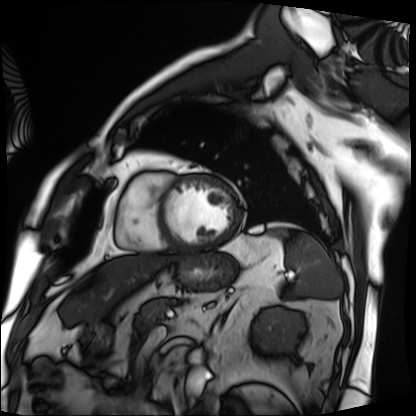
Q: What kind of scan is this?
A: Cardiac MRI.
Subject group: patient.